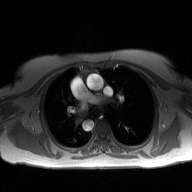
Summary: 2D phase-contrast cine MRI of the ascending aorta, high-resolution GRAPPA acquisition.